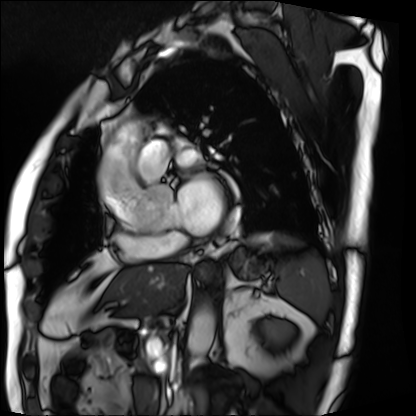
Summary: Cardiac MRI. Subject group: patient.